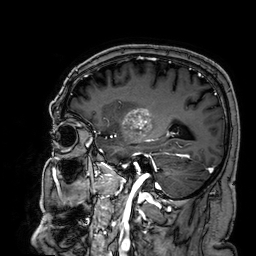
Summary:
3 Tesla brain MRI. Series: 3D T1-weighted. Study: ring-enhancing brain masses.